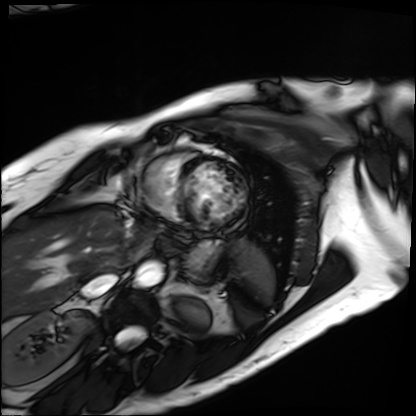
Q: What kind of scan is this?
A: Cardiac MRI.
Subject group: patient.